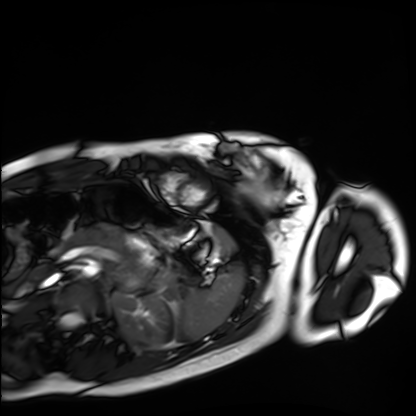
| field | value |
|---|---|
| modality | cardiac MRI |
| subject group | healthy volunteer |